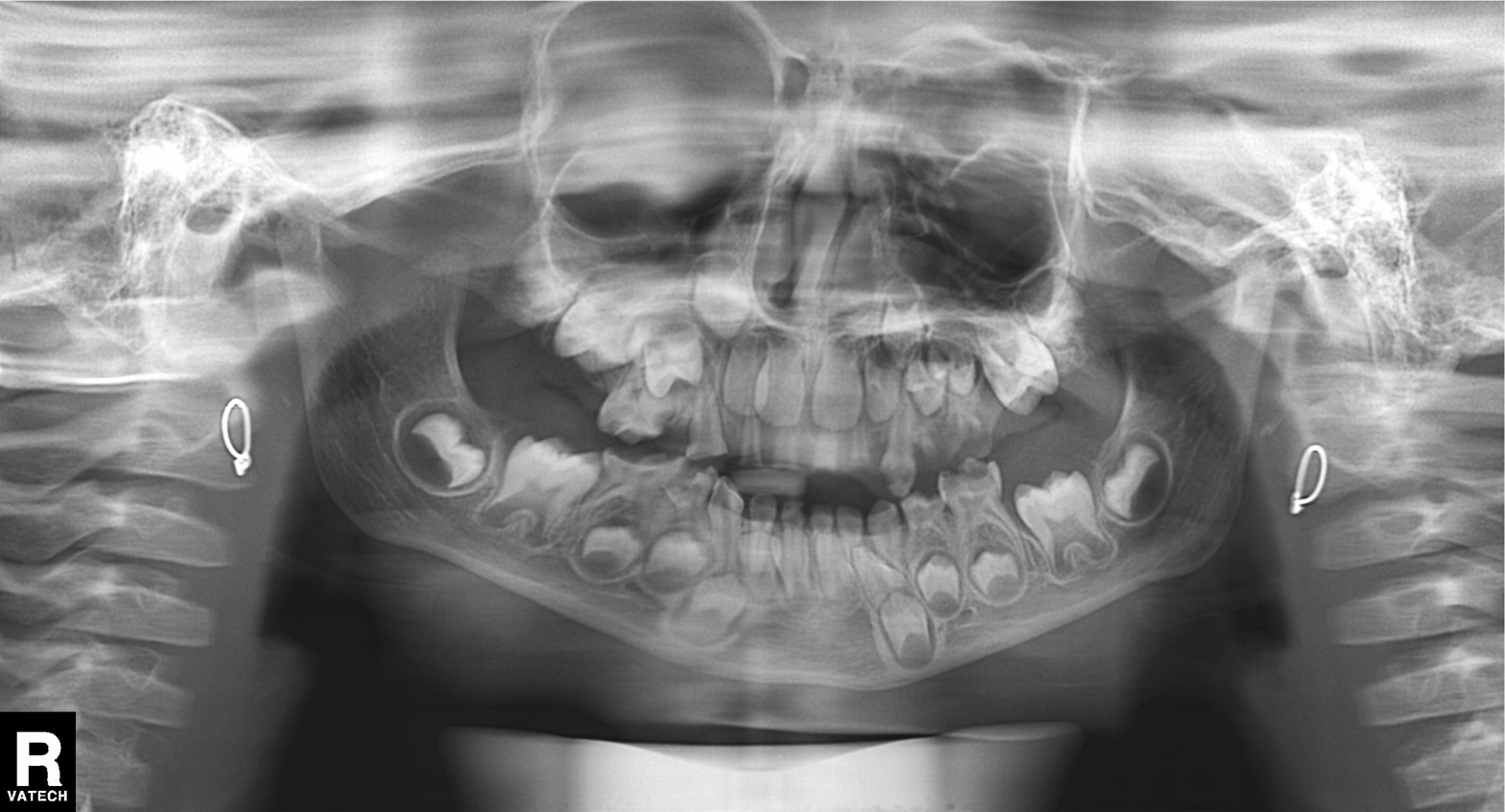
Clinical context:
Panoramic dental radiograph (orthopantomogram).
Conclusion:
Tooth impaction.